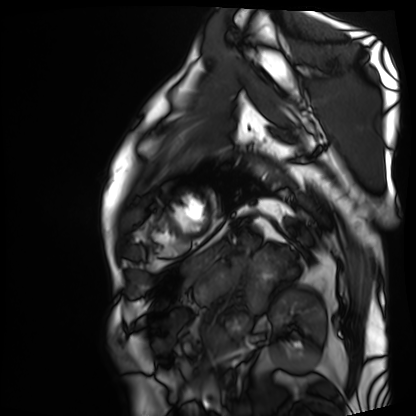
Cardiac MRI.
Subject group: patient.